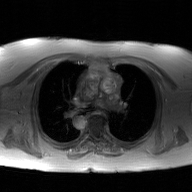
2D phase-contrast cine MRI of the ascending aorta, GAN super-resolution reconstruction.